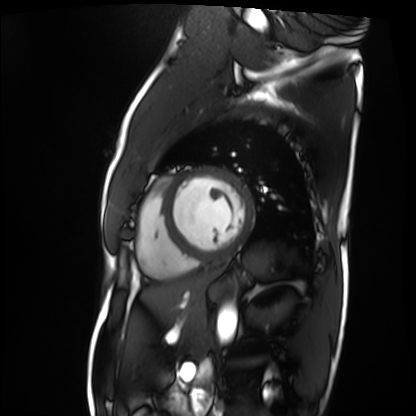
Summary:
Cardiac MRI. Subject group: patient.